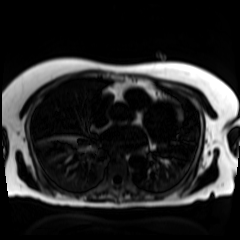
Case summary:
Chemical-shift-encoded cardiac MRI.